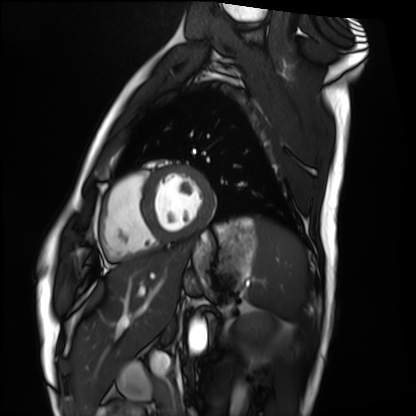
Case:
• modality: cardiac MRI
• subject group: healthy volunteer